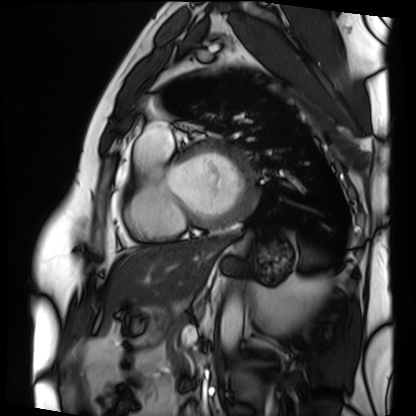
{
  "modality": "cardiac MRI",
  "cohort": "patient"
}